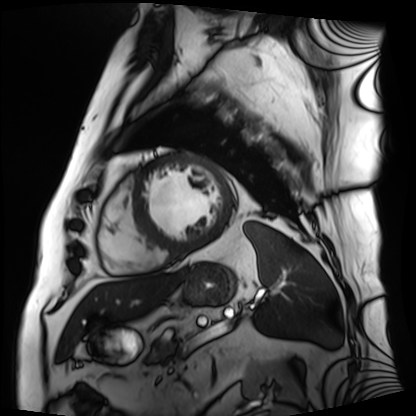
| field | value |
|---|---|
| modality | cardiac MRI |
| subject group | patient |